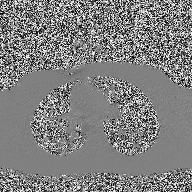
2D phase-contrast cine MRI of the ascending aorta, high-resolution GRAPPA acquisition.